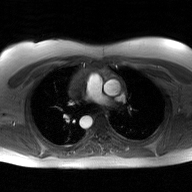
Clinical context:
2D phase-contrast cine MRI of the ascending aorta, GAN super-resolution reconstruction.